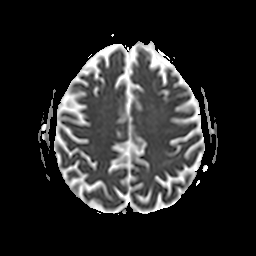
Summary:
3 Tesla brain MRI. Series: apparent diffusion coefficient (ADC) map. Study: ring-enhancing brain masses.